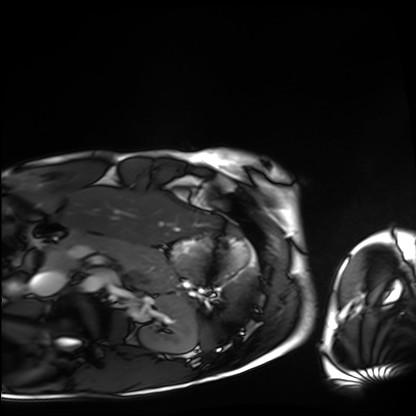
Cardiac MRI. Subject group: healthy volunteer.